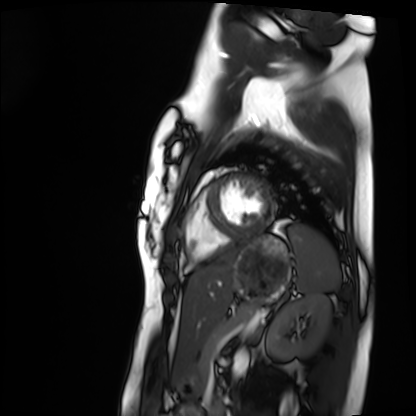
Q: What kind of scan is this?
A: Cardiac MRI.
Subject group: healthy volunteer.